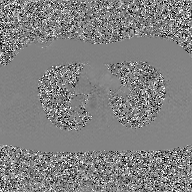
Summary: 2D phase-contrast cine MRI of the ascending aorta, GAN super-resolution reconstruction.